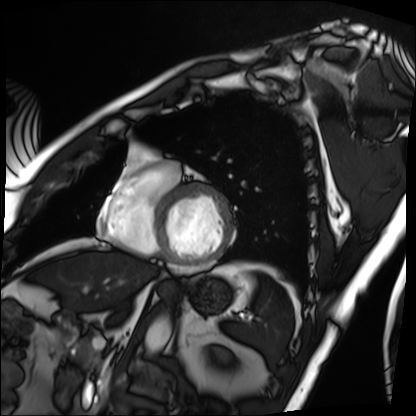
Cardiac MRI.
Subject group: patient.